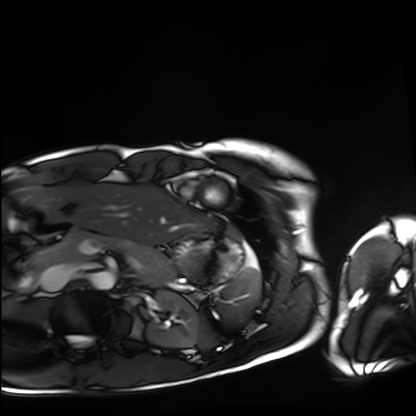
Cardiac MRI.
Subject group: healthy volunteer.